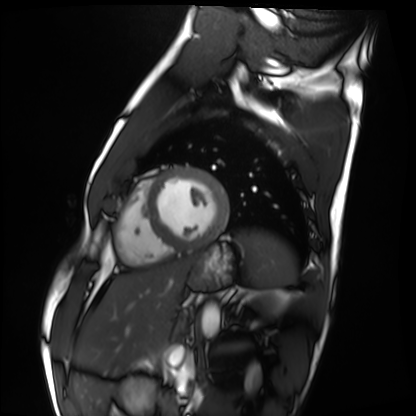
Cardiac MRI.
Subject group: healthy volunteer.